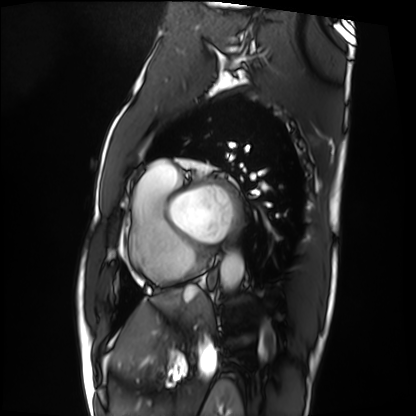
Cardiac MRI.
Subject group: patient.